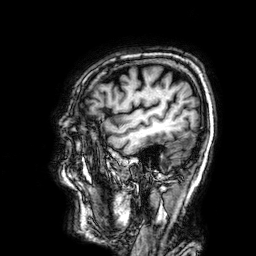
3 Tesla brain MRI.
Series: 3D T1-weighted.
Study: ring-enhancing brain masses.